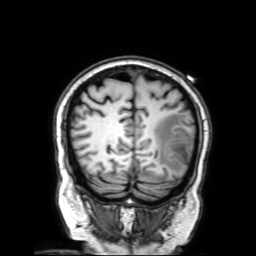
3 Tesla brain MRI.
Series: 3D T1-weighted with SENSE.
Study: ring-enhancing brain masses.